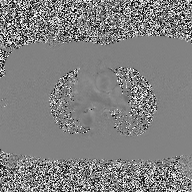
modality: 2D phase-contrast cine MRI of the ascending aorta.